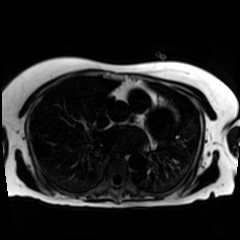
{
  "modality": "chemical-shift-encoded cardiac MRI"
}